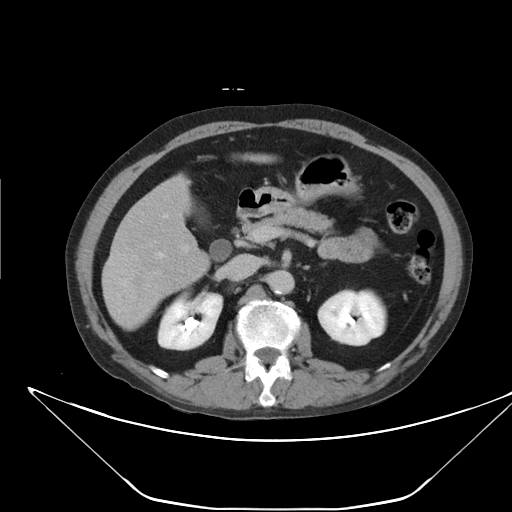
Multiphase abdominal CT, liver, delayed phase. Patient: male, age 59.